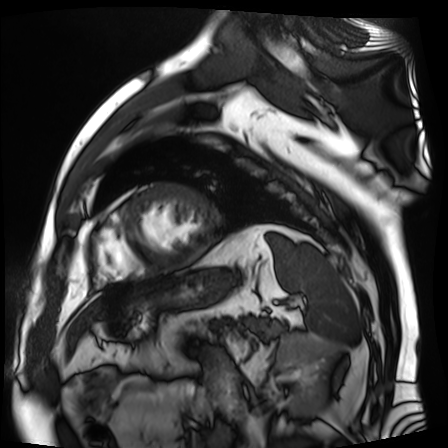
{"modality": "cardiac MR image of the myocardium", "cohort": "cardiac patient"}